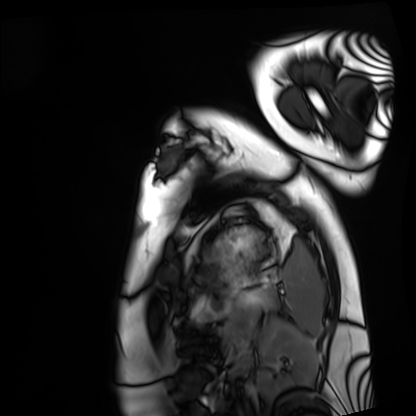
Q: What kind of scan is this?
A: Cardiac MRI.
Subject group: healthy volunteer.